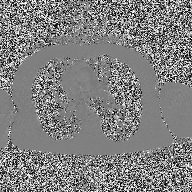
modality:
  type: 2D phase-contrast cine MRI
  region: ascending aorta
  reconstruction: high-resolution GRAPPA acquisition